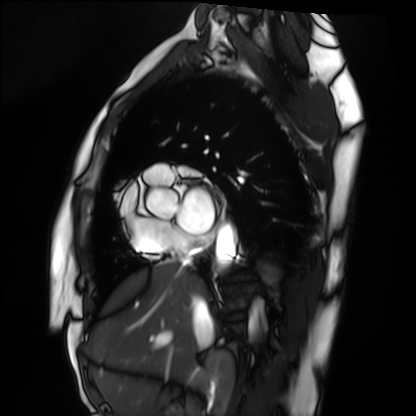
Q: What kind of scan is this?
A: Cardiac MRI.
Subject group: healthy volunteer.